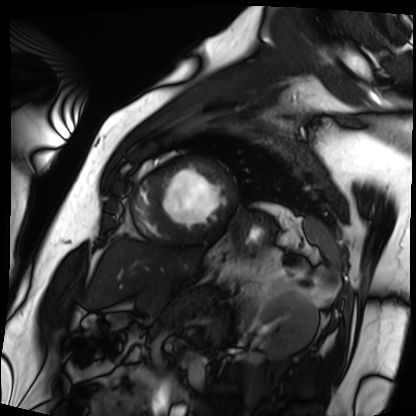
* modality · cardiac MRI
* subject group · patient